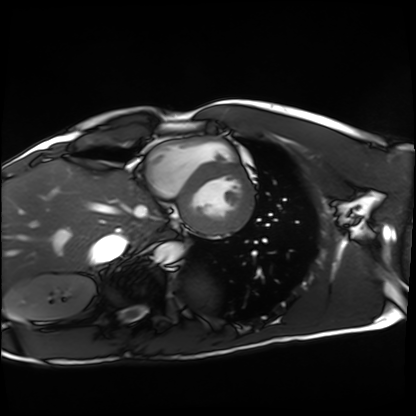
  modality: cardiac MRI
  cohort: healthy volunteer